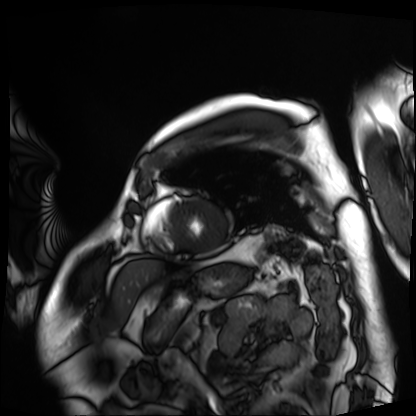
Cardiac MRI. Subject group: patient.